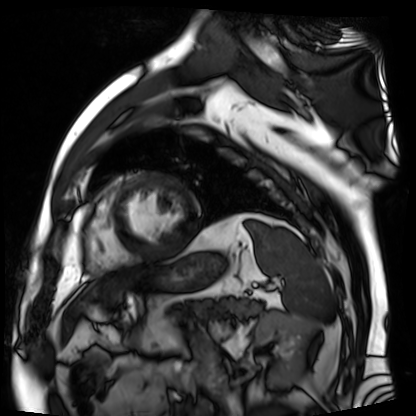
modality — cardiac MR image of the myocardium | subject cohort — cardiac patient.